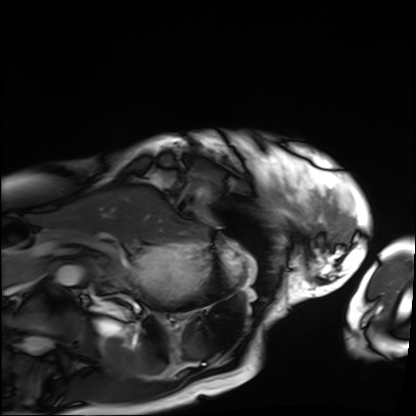
* modality · cardiac MRI
* subject group · patient